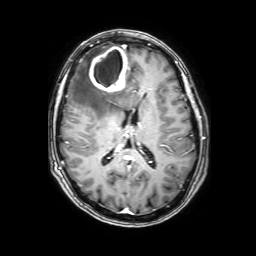
modality=3 Tesla brain MRI
series=3D T1-weighted with SENSE
study=ring-enhancing brain masses